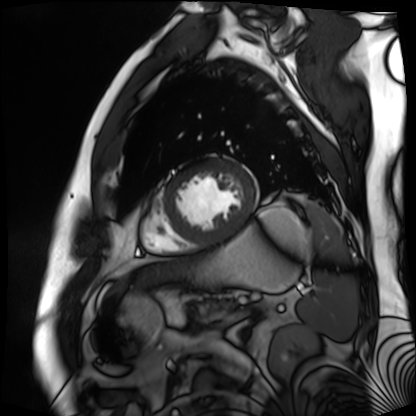
Cardiac MR image of the myocardium. Subject cohort: cardiac patient.